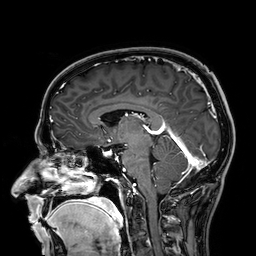
Clinical context:
3 Tesla brain MRI. Series: 3D T1-weighted. Study: ring-enhancing brain masses.